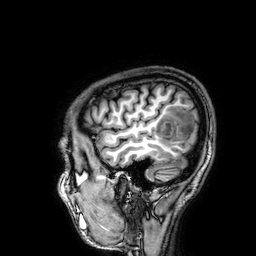
3 Tesla brain MRI. Series: 3D T1-weighted. Study: ring-enhancing brain masses.